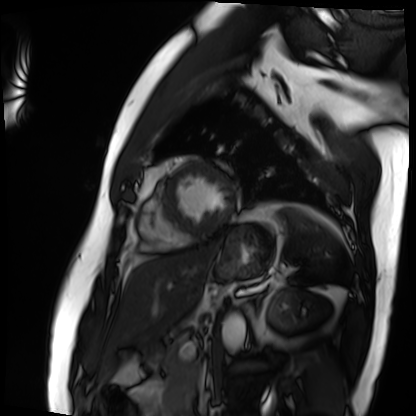
Q: What kind of scan is this?
A: Cardiac MRI.
Subject group: patient.